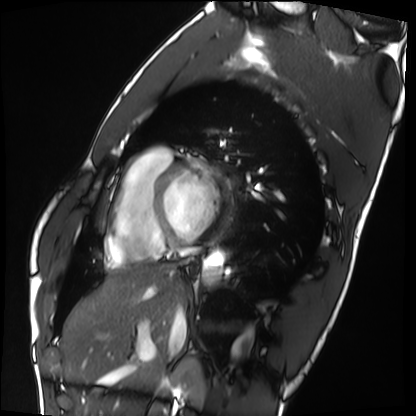
Q: What kind of scan is this?
A: Cardiac MRI.
Subject group: healthy volunteer.